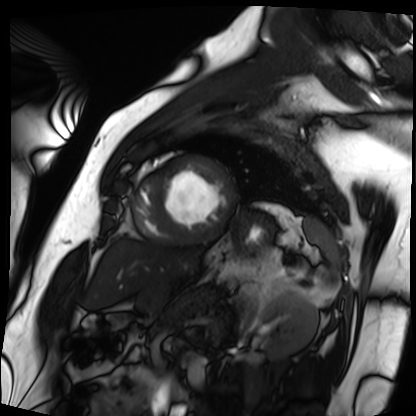
• modality: cardiac MRI
• subject group: patient